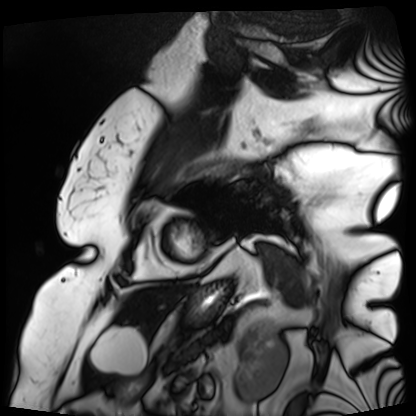
Q: What kind of scan is this?
A: Cardiac MRI.
Subject group: patient.